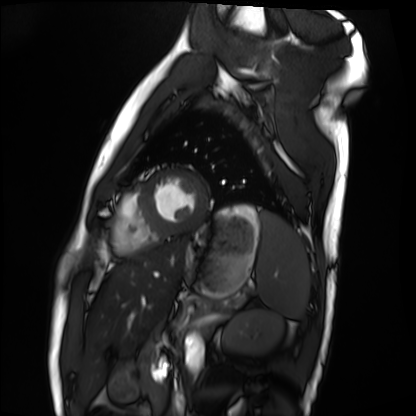
Case summary: Cardiac MRI. Subject group: healthy volunteer.